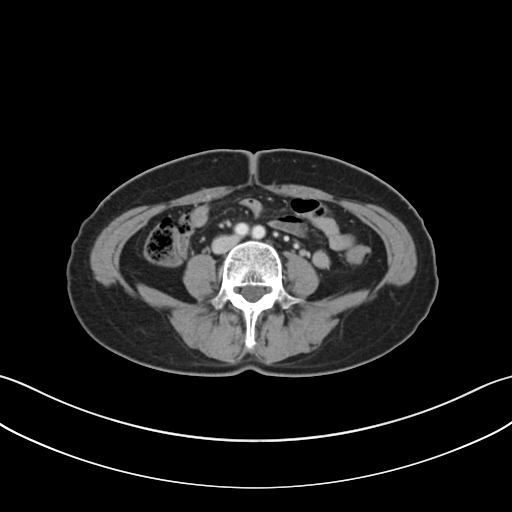
Multiphase abdominal CT, liver, portal venous phase.
Patient: female, age 58.